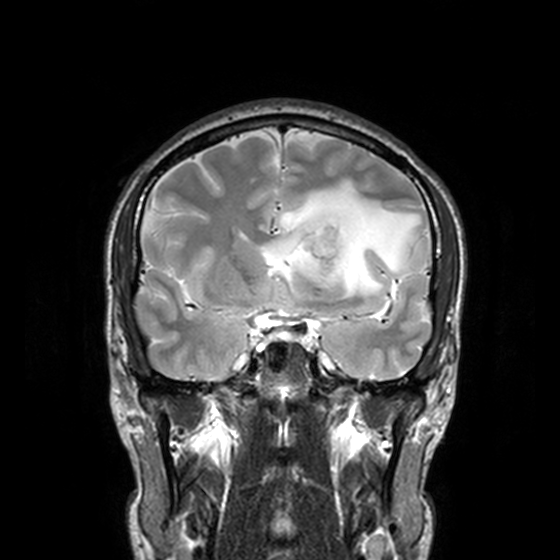
3 Tesla brain MRI. Series: T2-weighted turbo spin echo, 3 mm. Study: ring-enhancing brain masses.